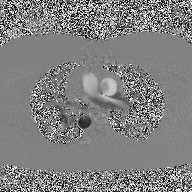
Summary: 2D phase-contrast cine MRI of the ascending aorta, high-resolution GRAPPA acquisition.